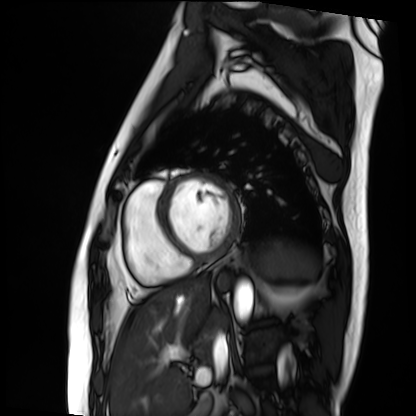
{
  "modality": "cardiac MRI",
  "cohort": "patient"
}